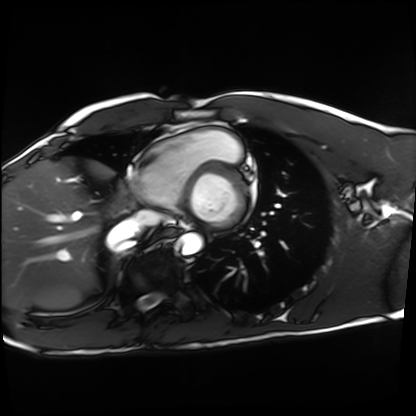
Clinical context:
Cardiac MRI. Subject group: healthy volunteer.